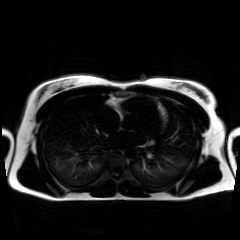
| field | value |
|---|---|
| modality | chemical-shift-encoded cardiac MRI |